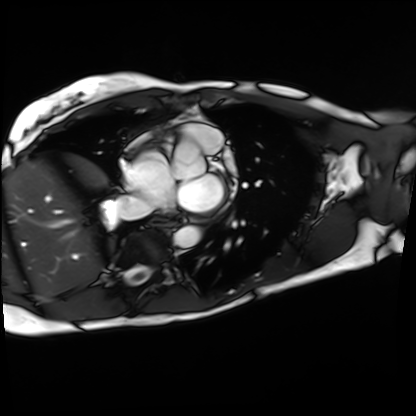
Clinical context:
Cardiac MRI. Subject group: patient.